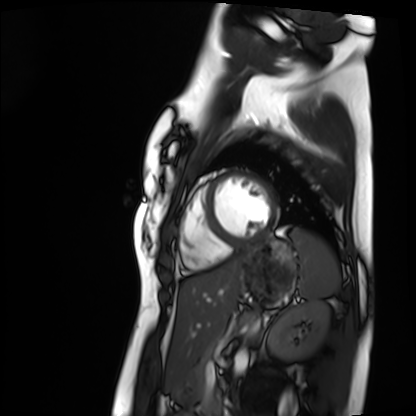
Cardiac MRI. Subject group: healthy volunteer.